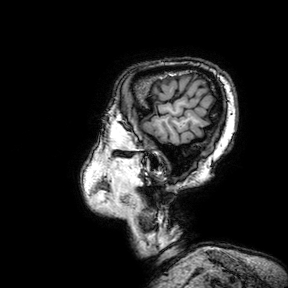
Clinical context: 3 Tesla brain MRI. Series: 3D T1-weighted turbo field echo with SENSE. Study: ring-enhancing brain masses.